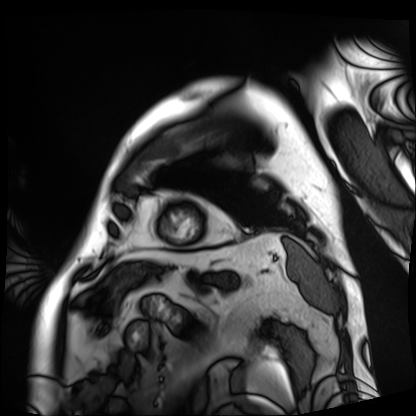
Q: What kind of scan is this?
A: Cardiac MRI.
Subject group: patient.